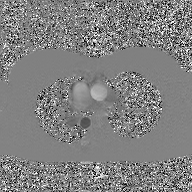
Case:
* modality: 2D phase-contrast cine MRI of the ascending aorta, GAN super-resolution reconstruction